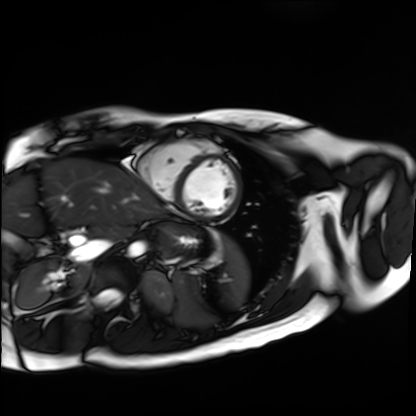
{
  "modality": "cardiac MR image of the myocardium",
  "cohort": "healthy volunteer"
}